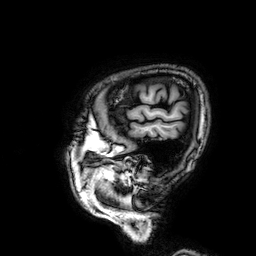
<scan>
<modality>
  <type>brain MRI</type>
  <field_strength>3T</field_strength>
</modality>
<series>3D T1-weighted</series>
<study_topic>ring-enhancing brain masses</study_topic>
</scan>